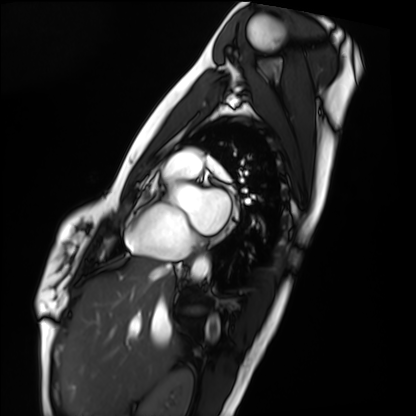
Cardiac MRI. Subject group: healthy volunteer.